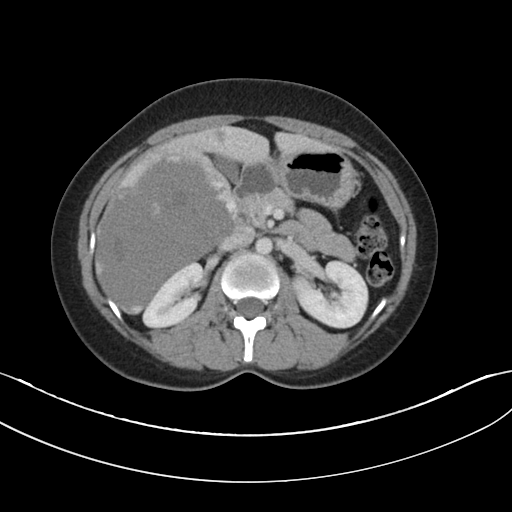
modality=multiphase abdominal CT, liver, portal venous phase; patient=male, age 32.